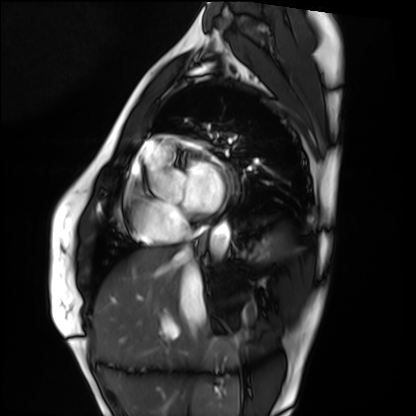
Clinical context: Cardiac MRI. Subject group: healthy volunteer.